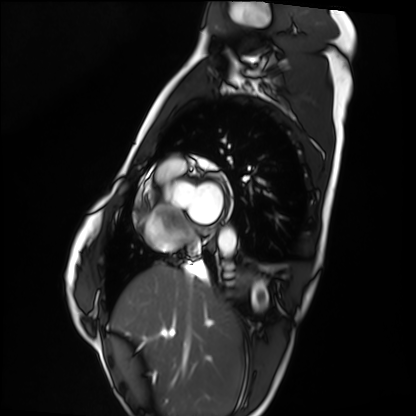
Case summary: Cardiac MRI. Subject group: healthy volunteer.